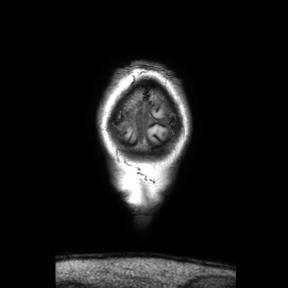
modality=3 Tesla brain MRI; study=ring-enhancing brain masses.